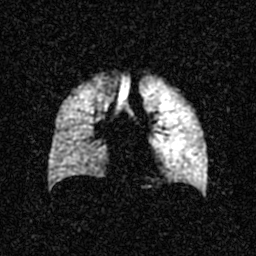
• modality · hyperpolarized 129Xe ventilation MRI of the lungs
• SNR level · 3 of 8 (the deposit holds this scan as its native image and as seven SNR-degraded versions)